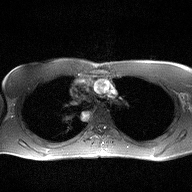
modality — 2D phase-contrast cine MRI of the ascending aorta.